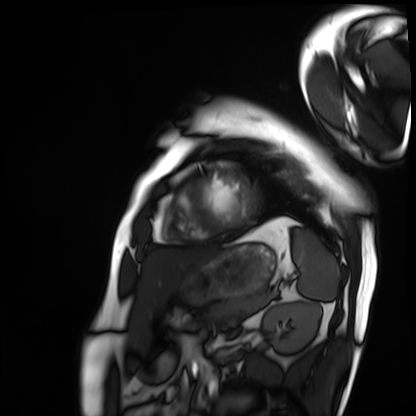
Cardiac MRI. Subject group: patient.